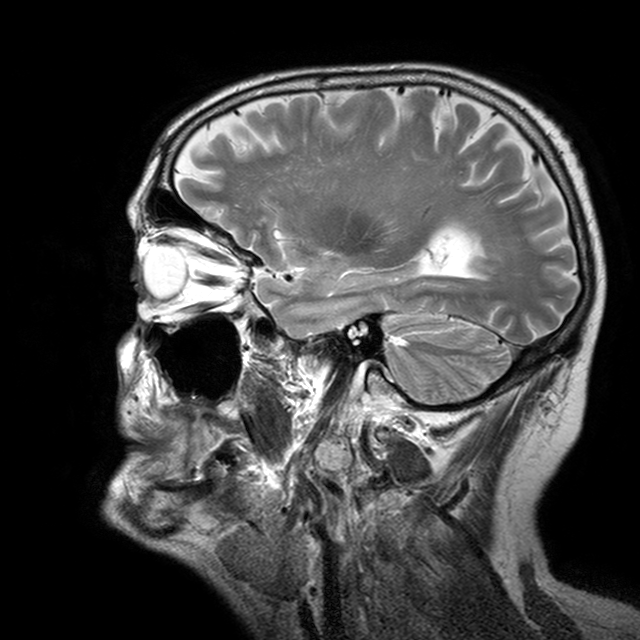
  modality:
    type: brain MRI
    field_strength: 3T
  series: T2-weighted turbo spin echo with CLEAR
  study_topic: ring-enhancing brain masses